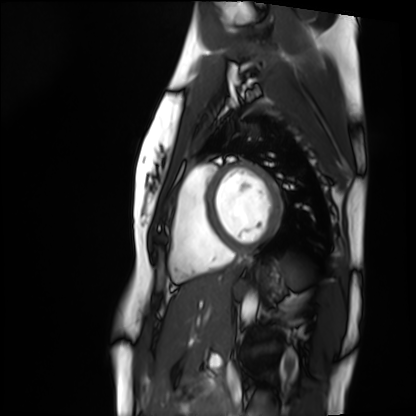
modality: cardiac MRI; subject group: healthy volunteer.